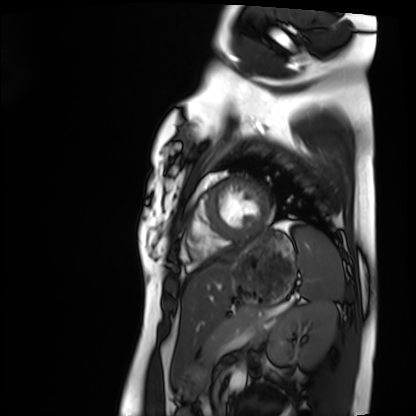
modality: cardiac MRI | subject group: healthy volunteer.